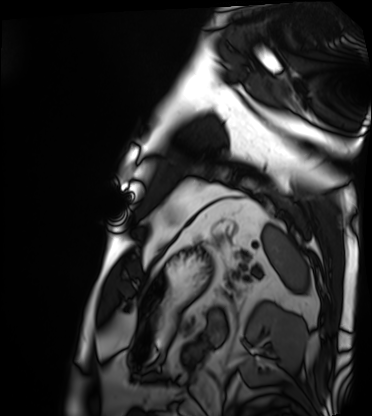
Summary: Cardiac MRI. Subject group: patient.